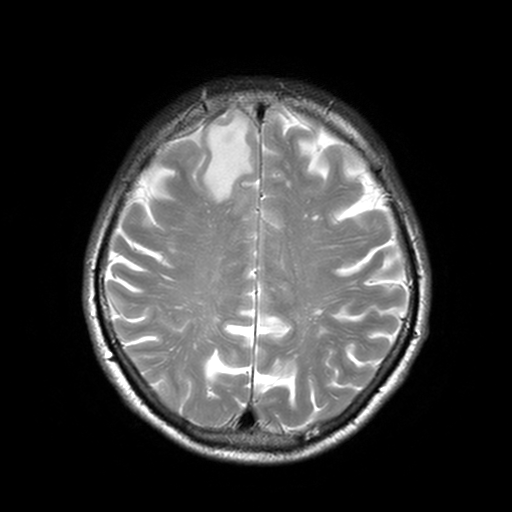
3 Tesla brain MRI.
Series: T2-weighted turbo spin echo, 3 mm.
Study: ring-enhancing brain masses.